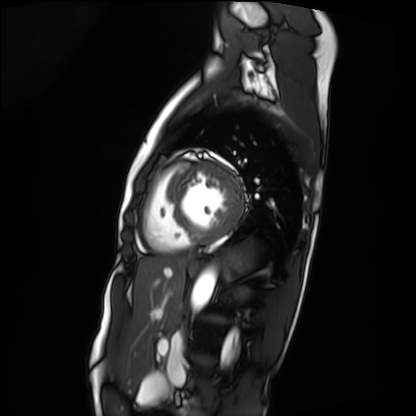
modality = cardiac MRI | subject group = patient.